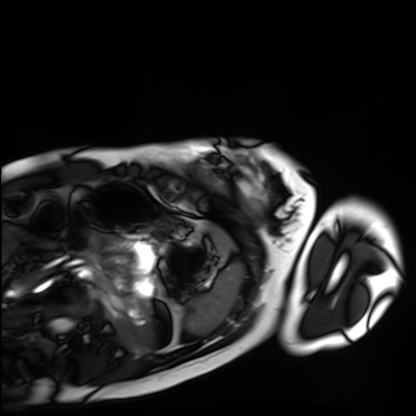
modality = cardiac MRI; subject group = healthy volunteer.